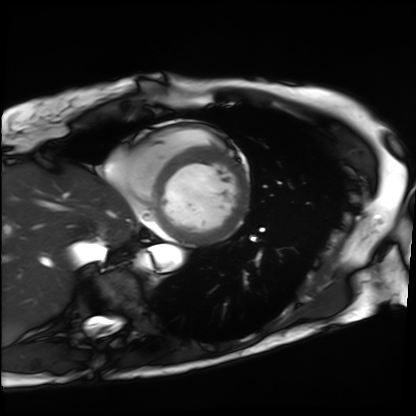
Q: What kind of scan is this?
A: Cardiac MRI.
Subject group: patient.